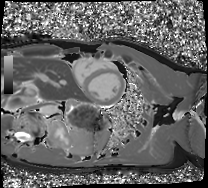
– modality — cardiac MRI
– subject group — healthy volunteer